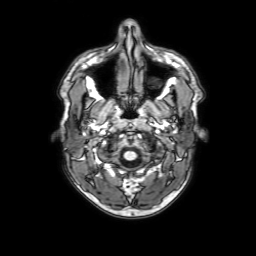
Clinical context: 3 Tesla brain MRI. Series: 3D T1-weighted with SENSE. Study: ring-enhancing brain masses.